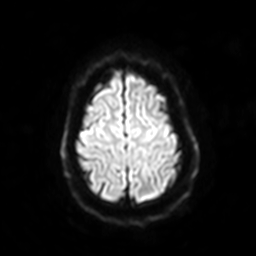
3 Tesla brain MRI.
Series: diffusion-weighted imaging with SENSE (WIP).
Study: ring-enhancing brain masses.